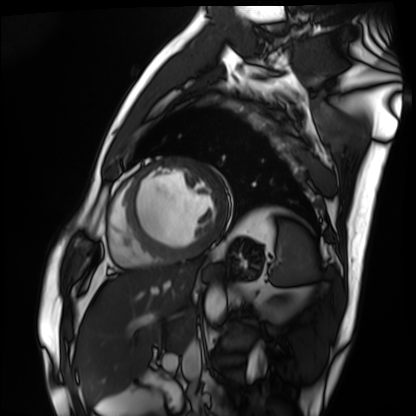
Q: What kind of scan is this?
A: Cardiac MRI.
Subject group: patient.